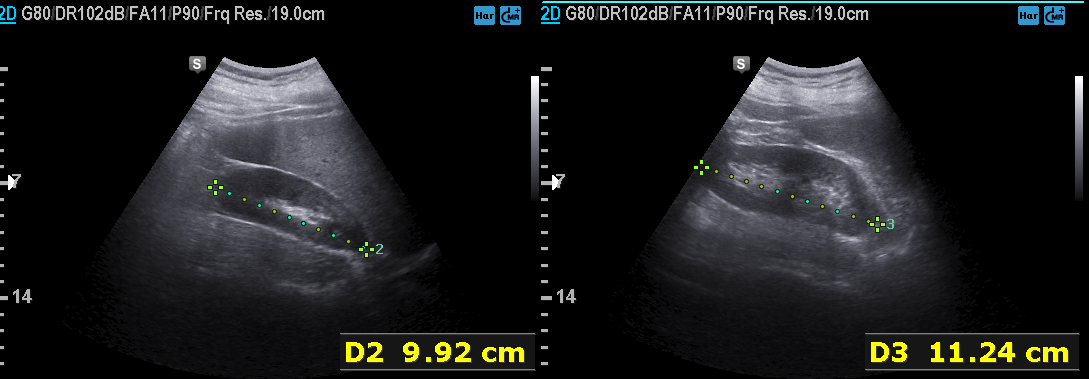
Summary:
Genitourinary ultrasound.